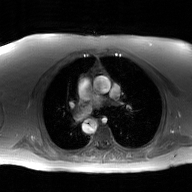
{
  "modality": {
    "type": "2D phase-contrast cine MRI",
    "region": "ascending aorta",
    "reconstruction": "GAN super-resolution reconstruction"
  }
}